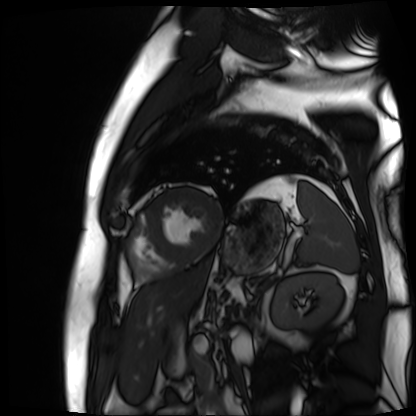
• modality · cardiac MR image of the myocardium
• subject cohort · cardiac patient